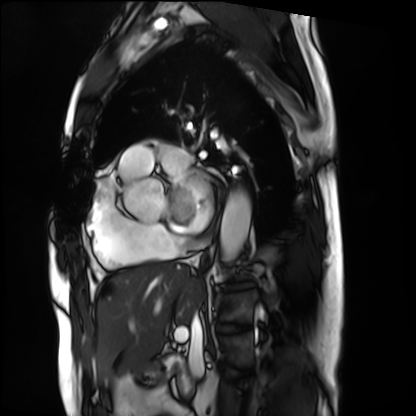
modality: cardiac MRI, subject group: patient.